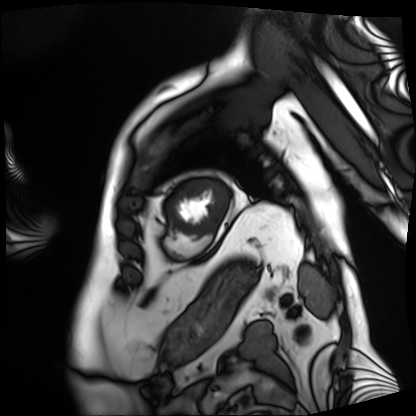
Clinical context:
Cardiac MRI. Subject group: patient.